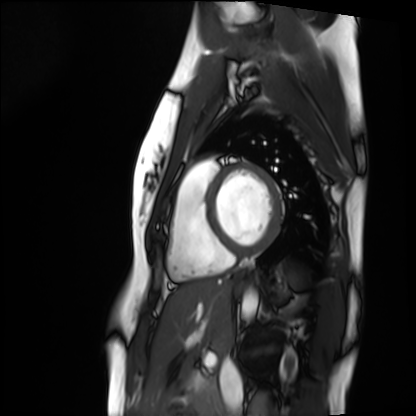
Cardiac MRI.
Subject group: healthy volunteer.